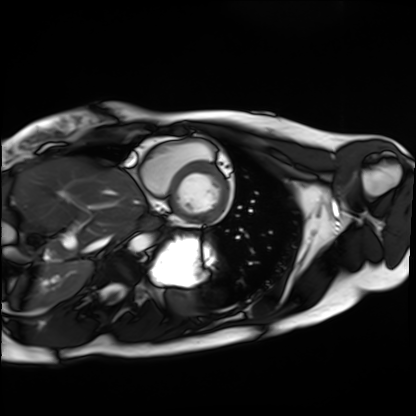
| field | value |
|---|---|
| modality | cardiac MRI |
| subject group | healthy volunteer |